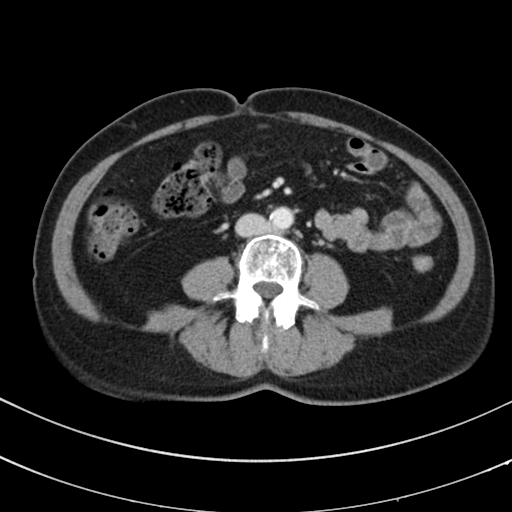
Summary: Multiphase abdominal CT, liver, portal venous phase. Patient: female, age 67.